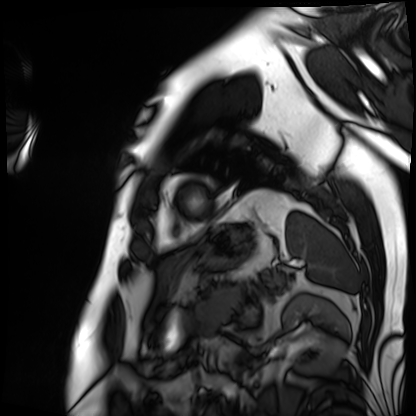
Q: What kind of scan is this?
A: Cardiac MRI.
Subject group: patient.